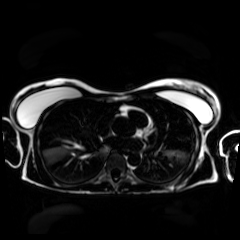
| field | value |
|---|---|
| modality | chemical-shift-encoded cardiac MRI |